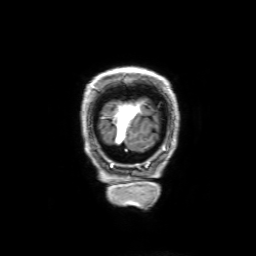
3 Tesla brain MRI.
Series: 3D T1-weighted with SENSE.
Study: ring-enhancing brain masses.